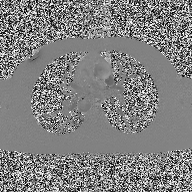
{"modality": {"type": "2D phase-contrast cine MRI", "region": "ascending aorta", "reconstruction": "high-resolution GRAPPA acquisition"}}